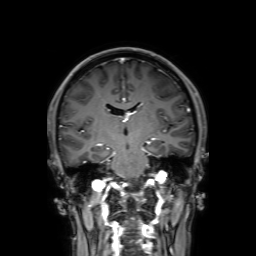
3 Tesla brain MRI. Series: 3D T1-weighted with SENSE. Study: ring-enhancing brain masses.